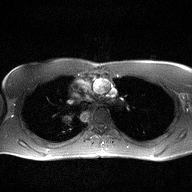
modality: 2D phase-contrast cine MRI of the ascending aorta.